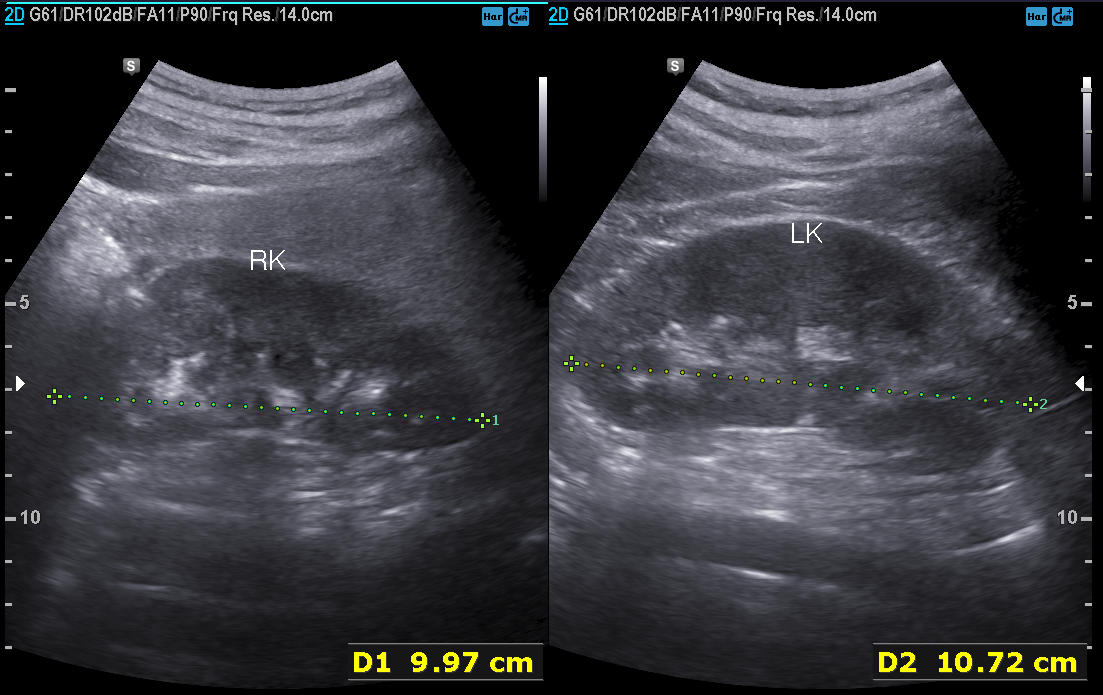
Case:
– modality — genitourinary ultrasound